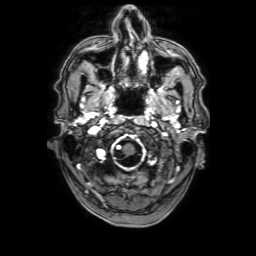
modality=3 Tesla brain MRI
series=3D T1-weighted with SENSE
study=ring-enhancing brain masses